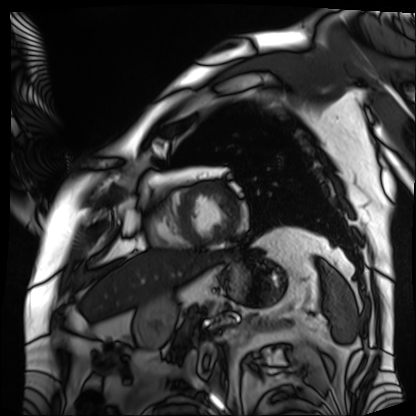
Cardiac MRI. Subject group: patient.